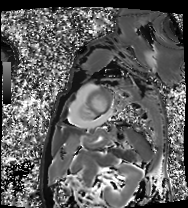
- modality: cardiac MRI
- subject group: patient